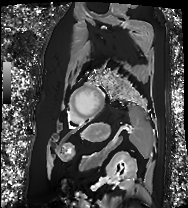
modality — cardiac MRI
subject group — patient